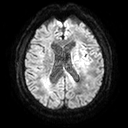
3 Tesla brain MRI. Series: diffusion tensor imaging (medium iso). Study: ring-enhancing brain masses.